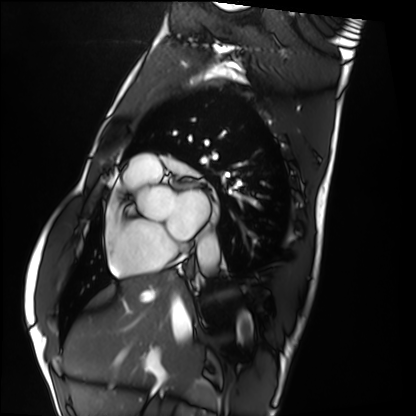
Cardiac MRI. Subject group: healthy volunteer.